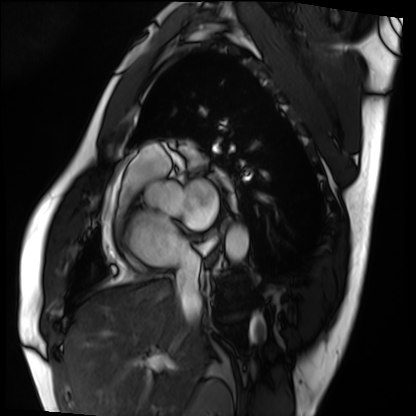
Clinical context: Cardiac MRI. Subject group: patient.